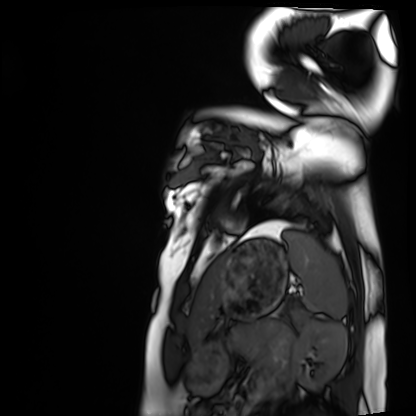
Cardiac MRI. Subject group: healthy volunteer.